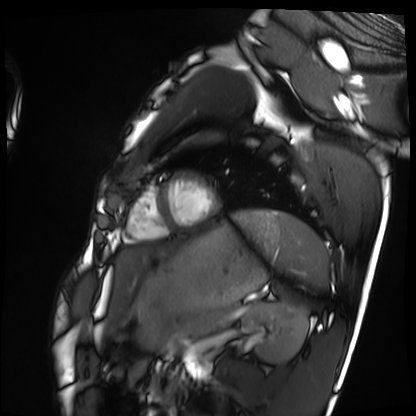
modality — cardiac MRI
subject group — healthy volunteer